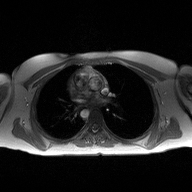
modality = 2D phase-contrast cine MRI of the ascending aorta.